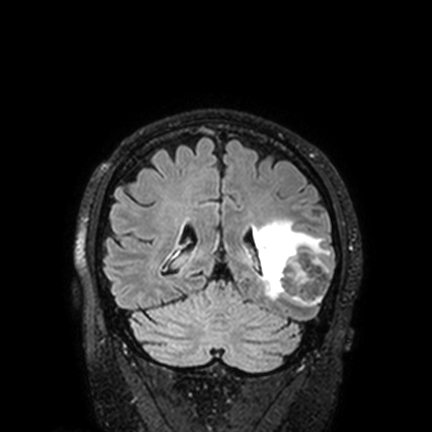
Q: What kind of scan is this?
A: 3 Tesla brain MRI.
Q: Series?
A: FLAIR VISTA with SENSE.
Study: ring-enhancing brain masses.